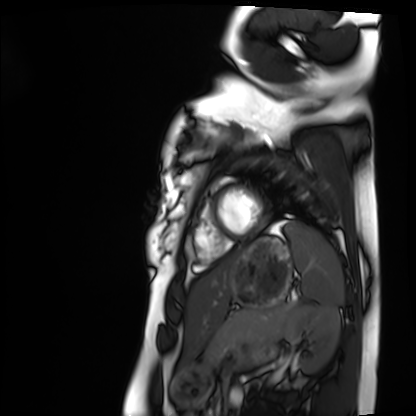
Cardiac MRI.
Subject group: healthy volunteer.